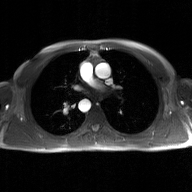
Summary:
2D phase-contrast cine MRI of the ascending aorta, GAN super-resolution reconstruction.